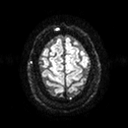
modality=3 Tesla brain MRI | series=diffusion tensor imaging (medium iso) | study=ring-enhancing brain masses.